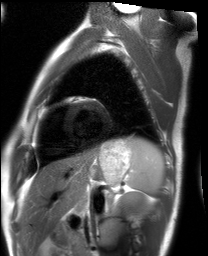
modality = cardiac MRI | subject group = healthy volunteer.